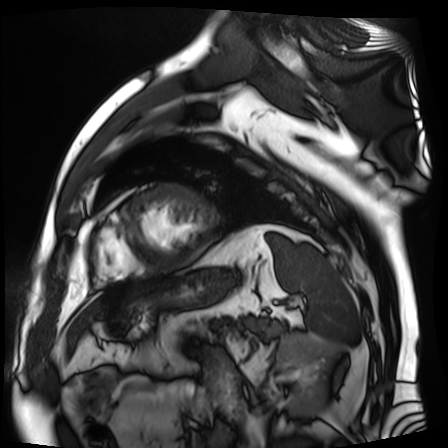
Cardiac MR image of the myocardium.
Subject cohort: cardiac patient.